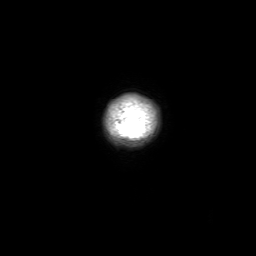
Clinical context: 3 Tesla brain MRI. Series: 3D T1-weighted with SENSE. Study: ring-enhancing brain masses.